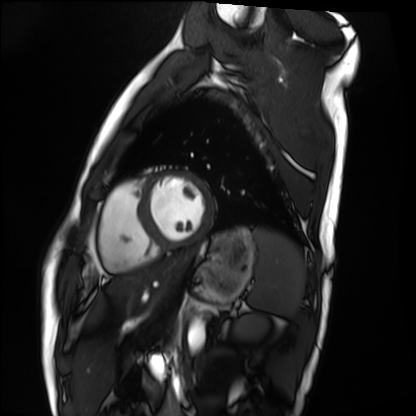
Case:
– modality — cardiac MRI
– subject group — healthy volunteer